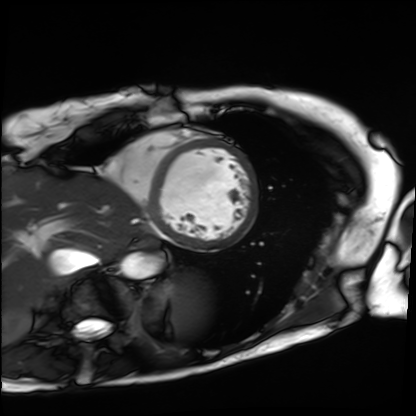
Cardiac MRI.
Subject group: patient.